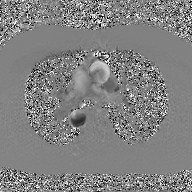
2D phase-contrast cine MRI of the ascending aorta, GAN super-resolution reconstruction.